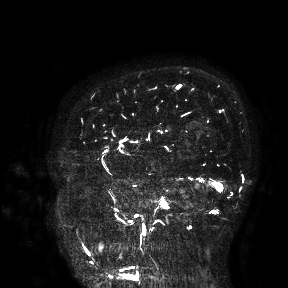
3 Tesla brain MRI. Study: ring-enhancing brain masses.